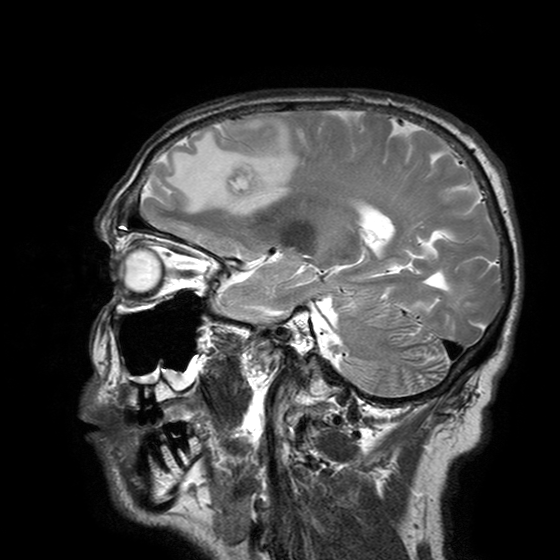
modality: 3 Tesla brain MRI
series: T2-weighted turbo spin echo with SENSE
study: ring-enhancing brain masses